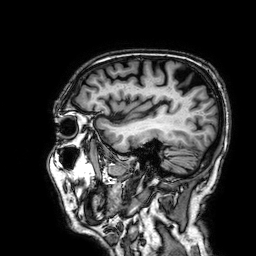
{"modality": {"type": "brain MRI", "field_strength": "3T"}, "series": "3D T1-weighted", "study_topic": "ring-enhancing brain masses"}